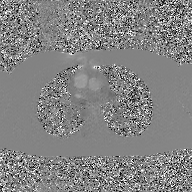
<study>
  <modality>
    <type>2D phase-contrast cine MRI</type>
    <region>ascending aorta</region>
    <reconstruction>GAN super-resolution reconstruction</reconstruction>
  </modality>
</study>